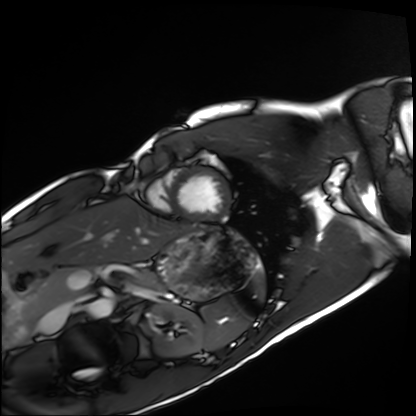
Summary:
Cardiac MRI. Subject group: healthy volunteer.